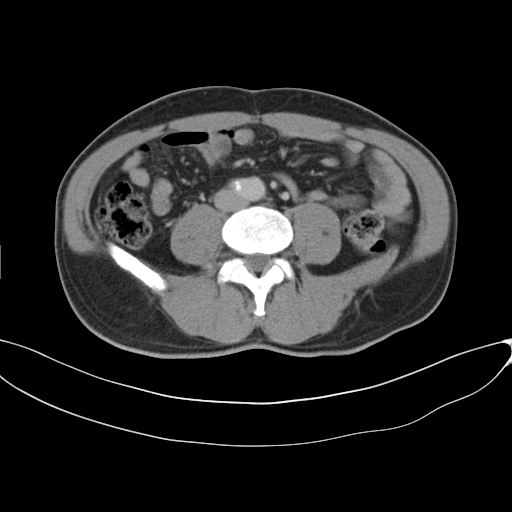
- modality: multiphase abdominal CT, liver, delayed phase
- patient: male, age 46